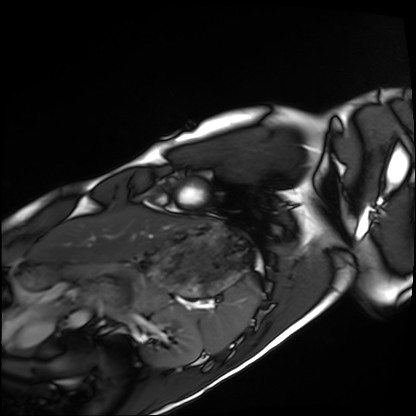
Cardiac MRI. Subject group: healthy volunteer.